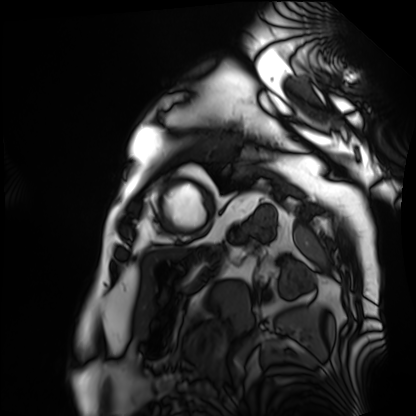
Cardiac MRI. Subject group: patient.